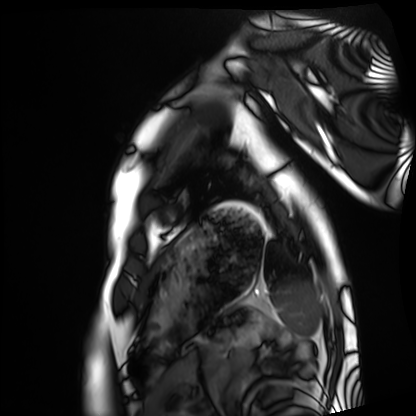
Q: What kind of scan is this?
A: Cardiac MRI.
Subject group: healthy volunteer.